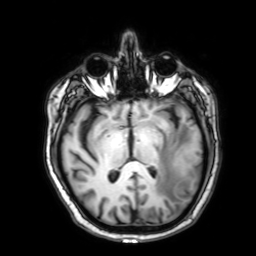
modality: 3 Tesla brain MRI; series: 3D T1-weighted with SENSE; study: ring-enhancing brain masses.